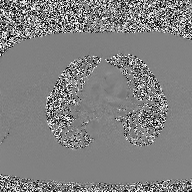
– modality · 2D phase-contrast cine MRI of the ascending aorta